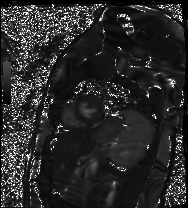
Cardiac MR image of the myocardium.
Subject cohort: healthy volunteer.